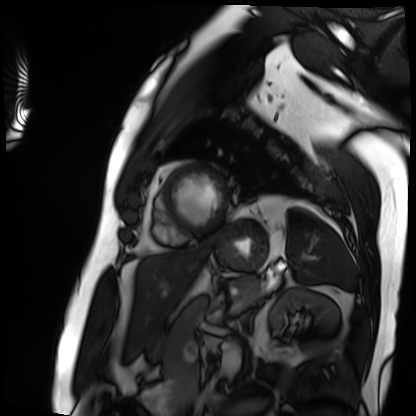
{"modality": "cardiac MRI", "cohort": "patient"}